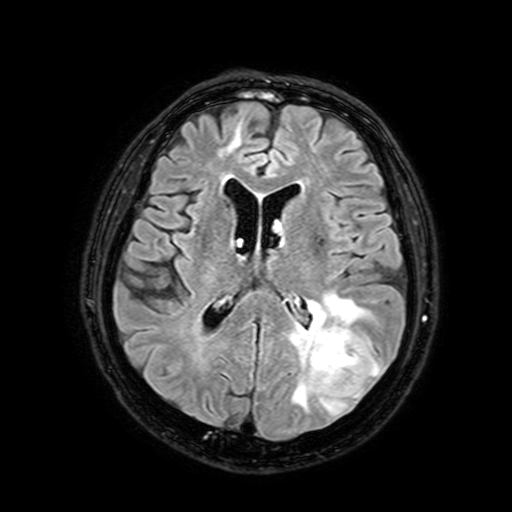
3 Tesla brain MRI.
Series: FLAIR with SPAIR, 3 mm.
Study: ring-enhancing brain masses.